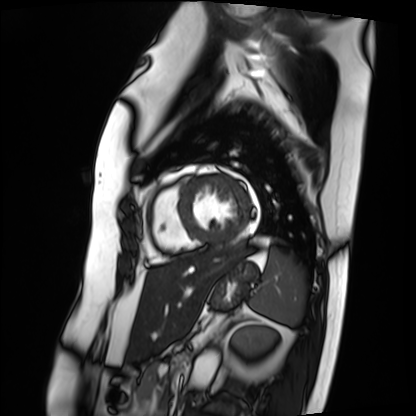
modality: cardiac MRI | subject group: patient.